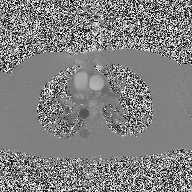
2D phase-contrast cine MRI of the ascending aorta, high-resolution GRAPPA acquisition.